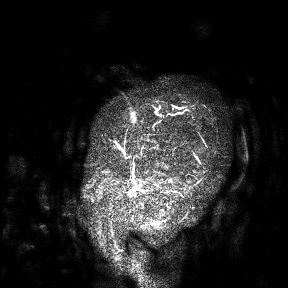
* modality: 3 Tesla brain MRI
* study: ring-enhancing brain masses